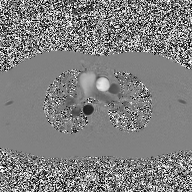
Clinical context: 2D phase-contrast cine MRI of the ascending aorta, high-resolution GRAPPA acquisition.